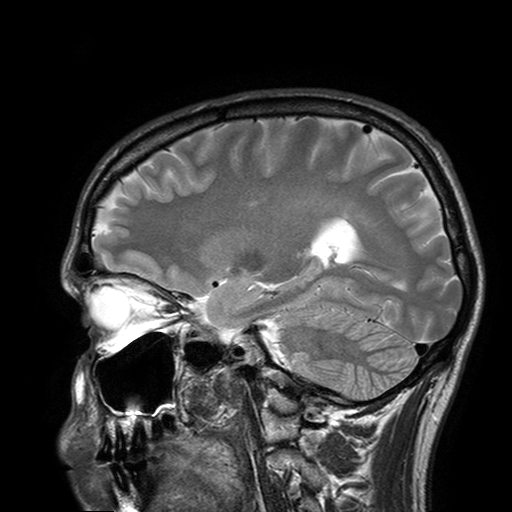
<record>
<modality>
  <type>brain MRI</type>
  <field_strength>3T</field_strength>
</modality>
<series>T2-weighted turbo spin echo with SENSE</series>
<study_topic>ring-enhancing brain masses</study_topic>
</record>